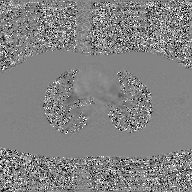
modality = 2D phase-contrast cine MRI of the ascending aorta, GAN super-resolution reconstruction.